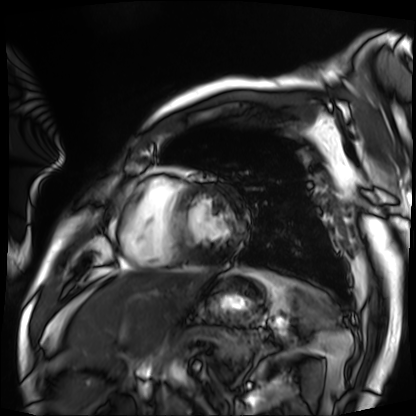
Cardiac MRI. Subject group: patient.